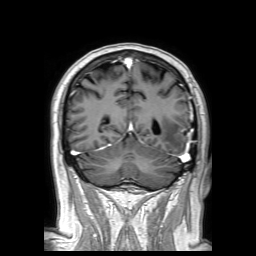
* modality · 3 Tesla brain MRI
* series · 3D T1-weighted TFE with SENSE
* study · ring-enhancing brain masses